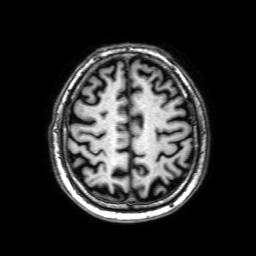
Q: What kind of scan is this?
A: 3 Tesla brain MRI.
Q: Series?
A: 3D T1-weighted with SENSE.
Study: ring-enhancing brain masses.